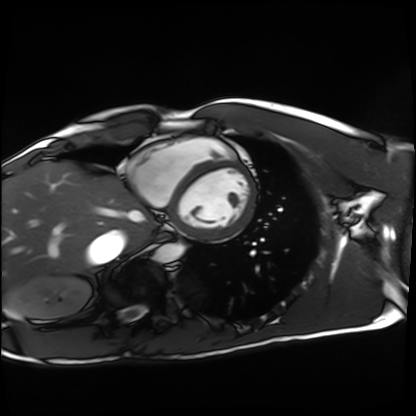
Cardiac MRI.
Subject group: healthy volunteer.